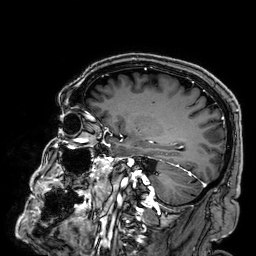
Case summary: 3 Tesla brain MRI. Series: 3D T1-weighted. Study: ring-enhancing brain masses.